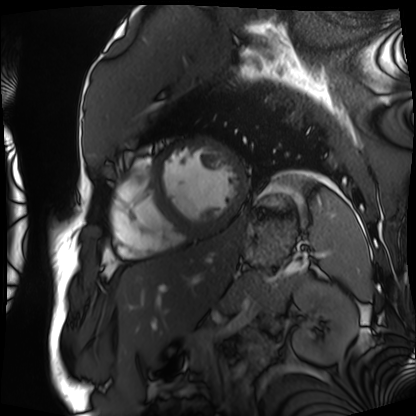
Clinical context: Cardiac MRI. Subject group: patient.